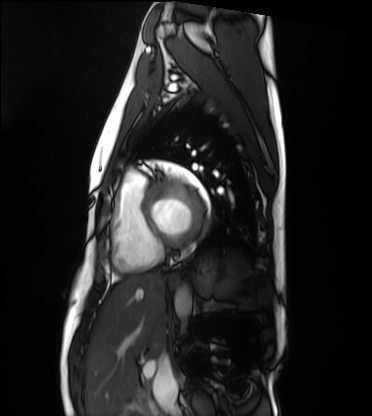
Q: What kind of scan is this?
A: Cardiac MRI.
Subject group: healthy volunteer.